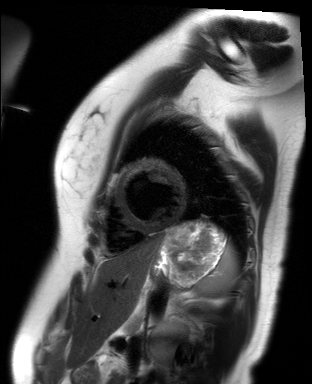
<scan>
<modality>cardiac MR image of the myocardium</modality>
<cohort>healthy volunteer</cohort>
</scan>